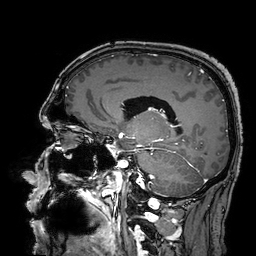
modality=3 Tesla brain MRI; series=3D T1-weighted turbo field echo with SENSE; study=ring-enhancing brain masses.